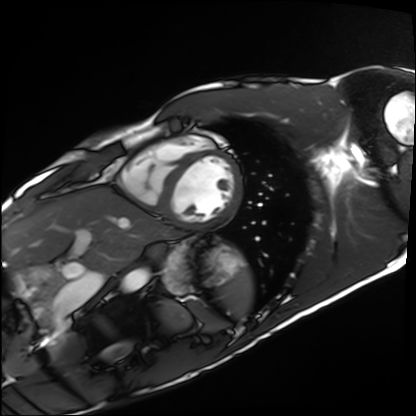
Cardiac MRI.
Subject group: healthy volunteer.